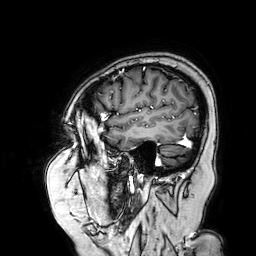
| field | value |
|---|---|
| modality | 3 Tesla brain MRI |
| series | 3D T1-weighted turbo field echo with SENSE |
| study | ring-enhancing brain masses |